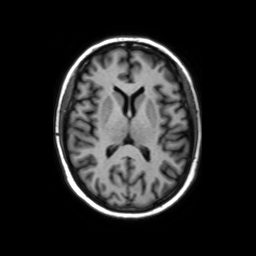
  modality:
    type: brain MRI
    field_strength: 3T
  series: axial without contrast
  study_topic: ring-enhancing brain masses